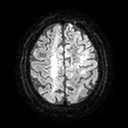
modality = 3 Tesla brain MRI | series = diffusion tensor imaging (medium iso) | study = ring-enhancing brain masses.